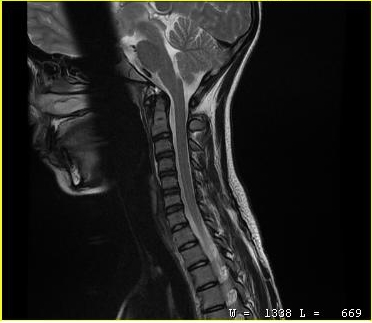
Q: What kind of scan is this?
A: MRI of the cervical spine.
Study: cervical spondylosis.